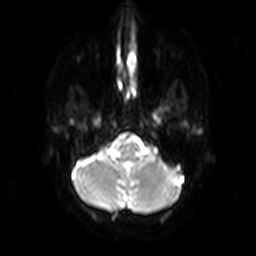
Q: What kind of scan is this?
A: 3 Tesla brain MRI.
Q: Series?
A: Diffusion-weighted imaging.
Study: ring-enhancing brain masses.